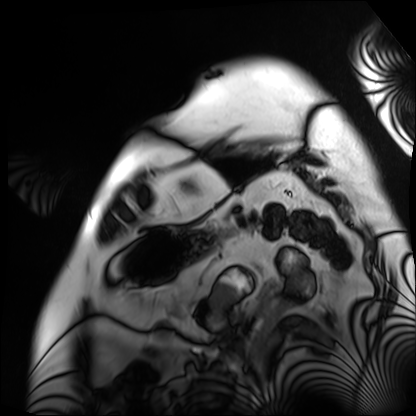
Cardiac MRI. Subject group: patient.